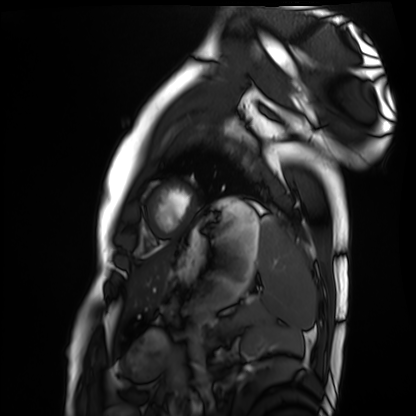
modality: cardiac MRI
subject group: healthy volunteer